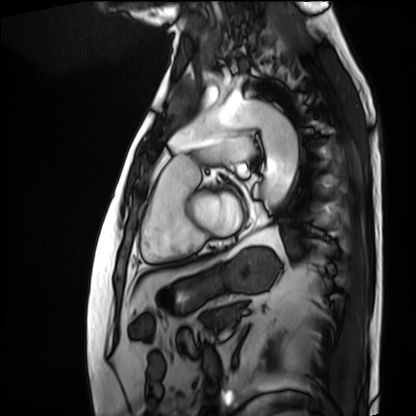
modality = cardiac MRI | subject group = patient.